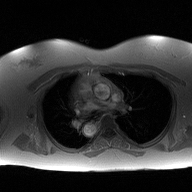
Clinical context:
2D phase-contrast cine MRI of the ascending aorta, high-resolution GRAPPA acquisition.